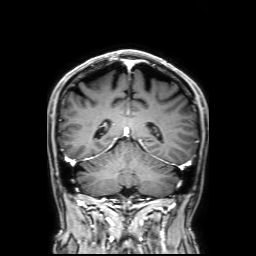
Case:
• modality: 3 Tesla brain MRI
• series: 3D T1-weighted with SENSE
• study: ring-enhancing brain masses